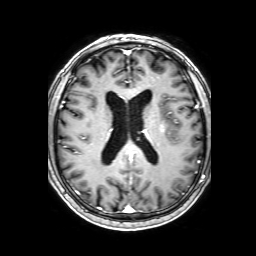
– modality · 3 Tesla brain MRI
– series · 3D T1-weighted with SENSE
– study · ring-enhancing brain masses